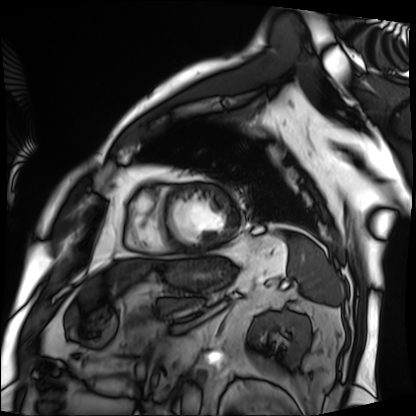
| field | value |
|---|---|
| modality | cardiac MRI |
| subject group | patient |